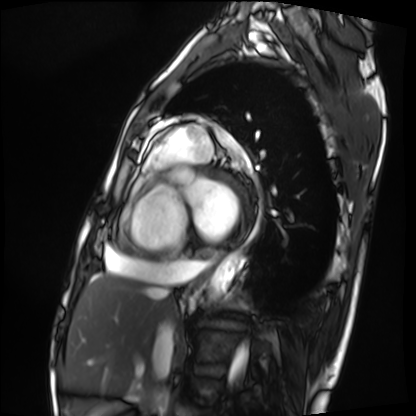
Cardiac MRI. Subject group: patient.